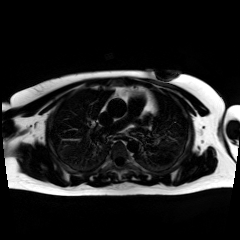
Chemical-shift-encoded cardiac MRI.